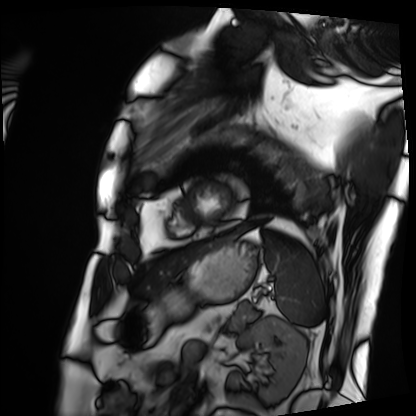
• modality: cardiac MRI
• subject group: patient